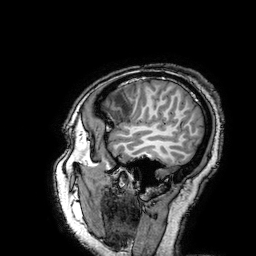
Summary: 3 Tesla brain MRI. Series: 3D T1-weighted turbo field echo with SENSE. Study: ring-enhancing brain masses.